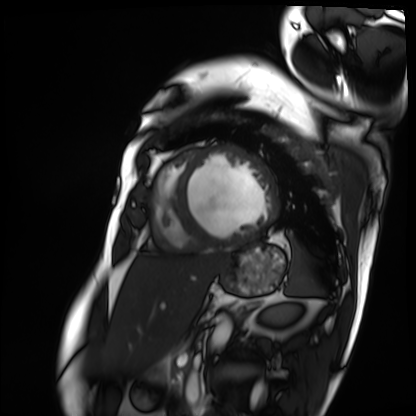
Cardiac MRI. Subject group: patient.